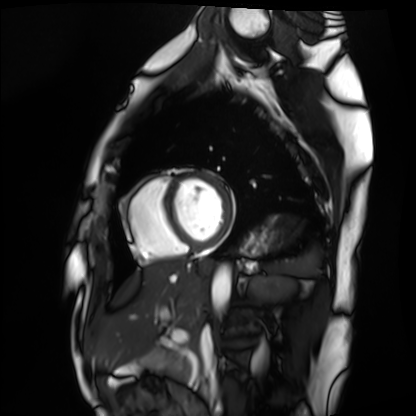
– modality · cardiac MRI
– subject group · healthy volunteer